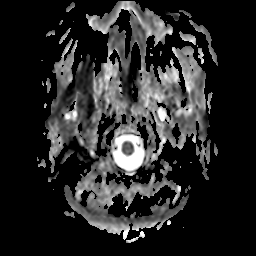
3 Tesla brain MRI.
Series: apparent diffusion coefficient (ADC) map.
Study: ring-enhancing brain masses.